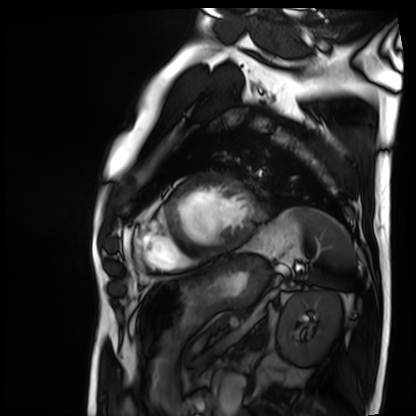
Cardiac MRI.
Subject group: patient.